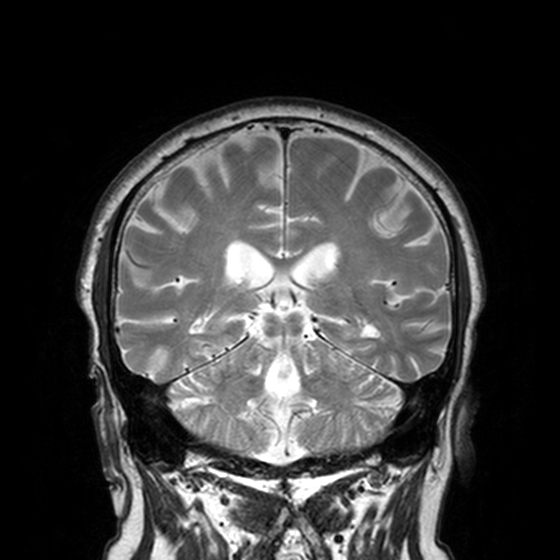
modality: 3 Tesla brain MRI; series: T2-weighted turbo spin echo, 3 mm; study: ring-enhancing brain masses.